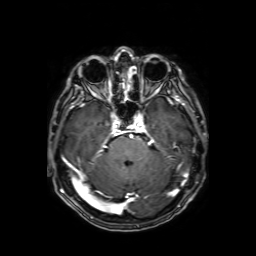
3 Tesla brain MRI.
Series: axial T1-weighted fusion image.
Study: ring-enhancing brain masses.